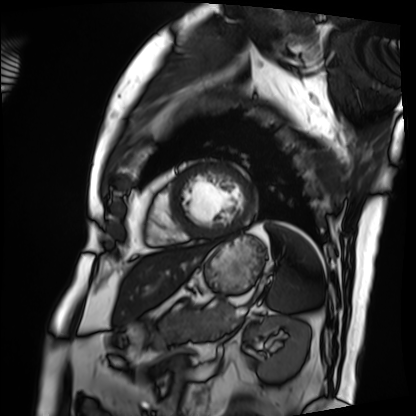
Cardiac MRI. Subject group: patient.